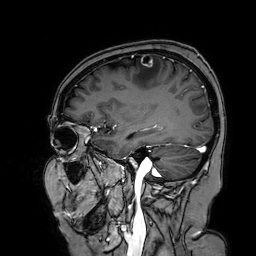
3 Tesla brain MRI. Series: 3D T1-weighted turbo field echo with SENSE. Study: ring-enhancing brain masses.